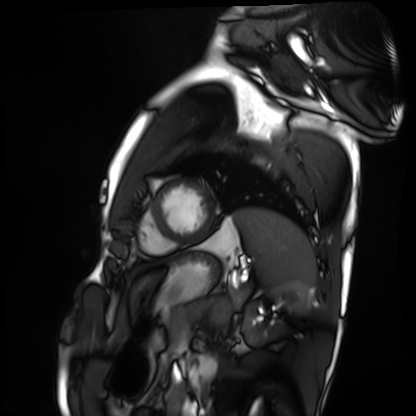
modality: cardiac MRI
subject group: healthy volunteer